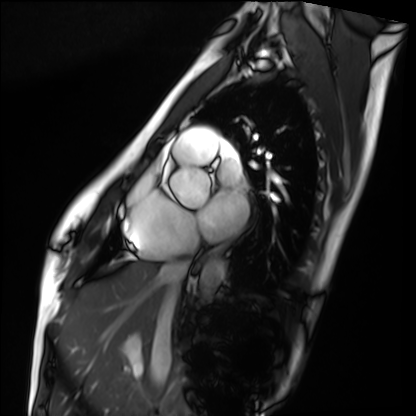
Summary:
Cardiac MRI. Subject group: healthy volunteer.